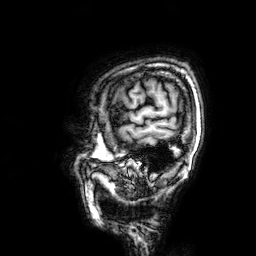
modality: 3 Tesla brain MRI
series: 3D T1-weighted
study: ring-enhancing brain masses